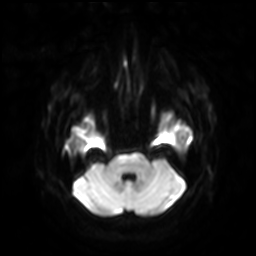
Clinical context:
3 Tesla brain MRI. Series: diffusion-weighted imaging with SENSE (WIP). Study: ring-enhancing brain masses.